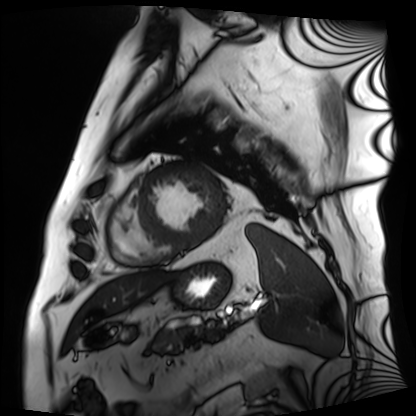
Cardiac MRI. Subject group: patient.